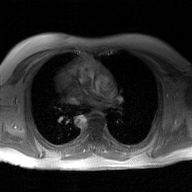
Case summary: 2D phase-contrast cine MRI of the ascending aorta, GAN super-resolution reconstruction.